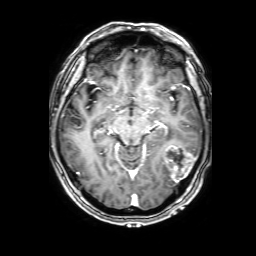
modality — 3 Tesla brain MRI; series — 3D T1-weighted with SENSE; study — ring-enhancing brain masses.